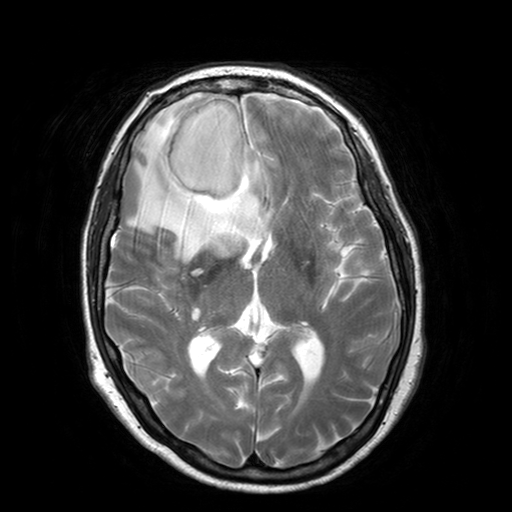
modality: 3 Tesla brain MRI | series: T2-weighted turbo spin echo with SENSE | study: ring-enhancing brain masses.